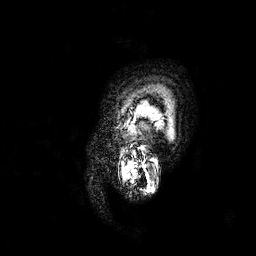
3 Tesla brain MRI. Series: 3D T1-weighted. Study: ring-enhancing brain masses.